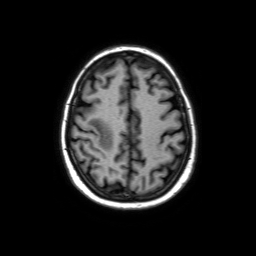
Clinical context:
3 Tesla brain MRI. Series: axial without contrast. Study: ring-enhancing brain masses.